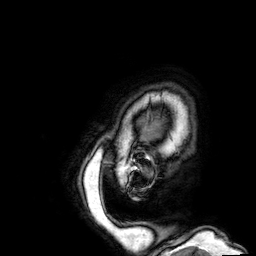
Summary: 3 Tesla brain MRI. Series: 3D T1-weighted. Study: ring-enhancing brain masses.